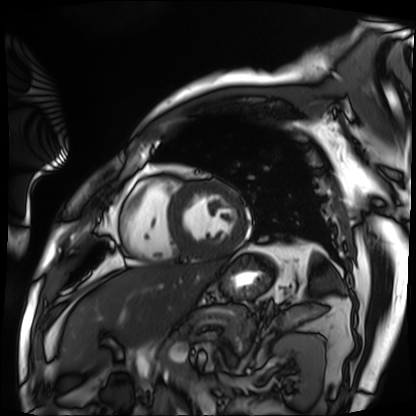
Cardiac MRI.
Subject group: patient.